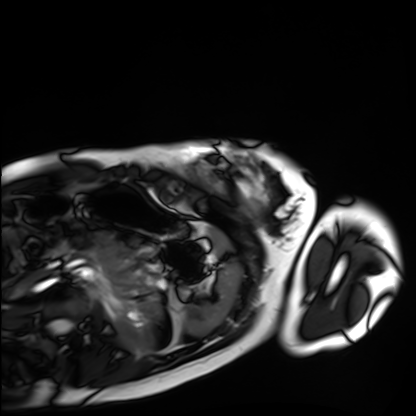
Clinical context: Cardiac MRI. Subject group: healthy volunteer.